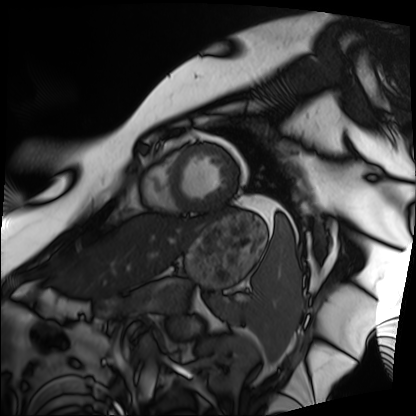
Q: What kind of scan is this?
A: Cardiac MRI.
Subject group: patient.